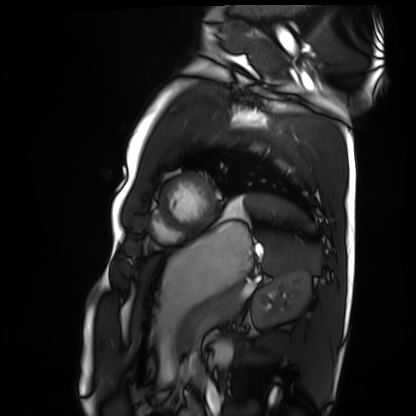
Q: What kind of scan is this?
A: Cardiac MRI.
Subject group: healthy volunteer.